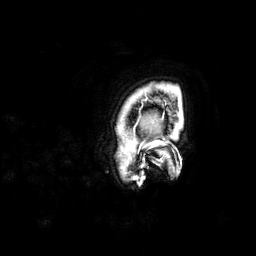
3 Tesla brain MRI. Series: 3D T1-weighted. Study: ring-enhancing brain masses.